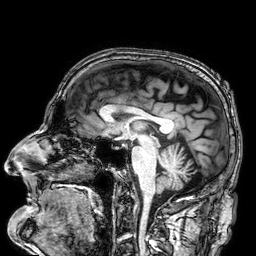
Case:
* modality — 3 Tesla brain MRI
* series — 3D T1-weighted
* study — ring-enhancing brain masses